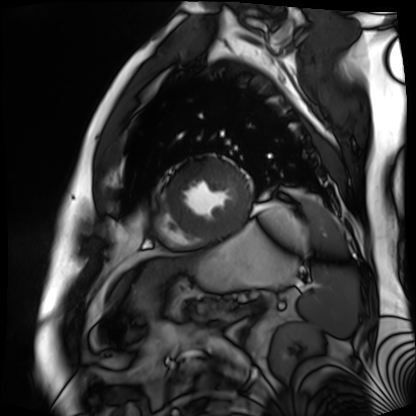
| field | value |
|---|---|
| modality | cardiac MR image of the myocardium |
| subject cohort | cardiac patient |